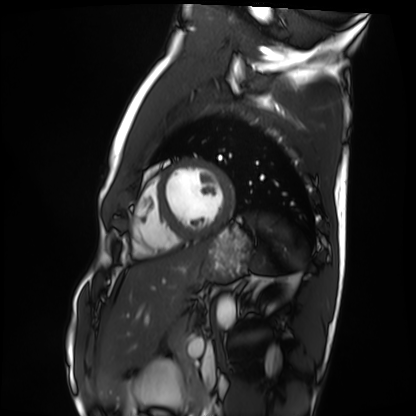
Q: What kind of scan is this?
A: Cardiac MRI.
Subject group: healthy volunteer.